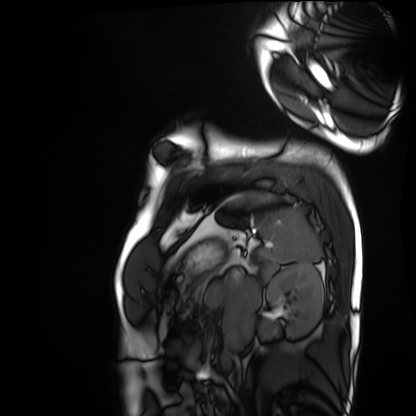
modality: cardiac MRI | subject group: healthy volunteer.